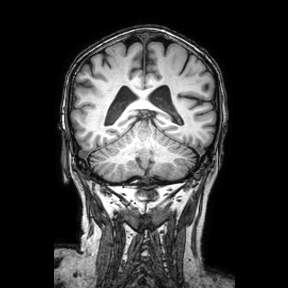
Q: What kind of scan is this?
A: 3 Tesla brain MRI.
Q: Series?
A: Coronal.
Study: ring-enhancing brain masses.